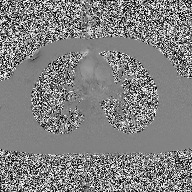
modality: 2D phase-contrast cine MRI of the ascending aorta.